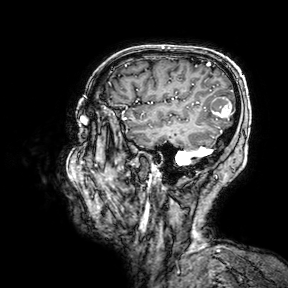
<record>
<modality>
  <type>brain MRI</type>
  <field_strength>3T</field_strength>
</modality>
<series>3D T1-weighted turbo field echo with SENSE</series>
<study_topic>ring-enhancing brain masses</study_topic>
</record>